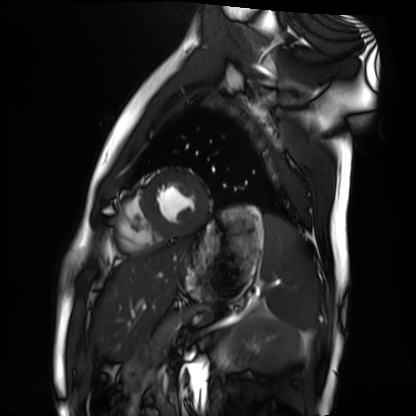
Cardiac MRI. Subject group: healthy volunteer.